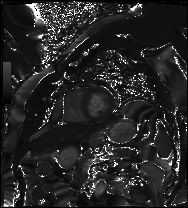
modality: cardiac MRI, subject group: patient.